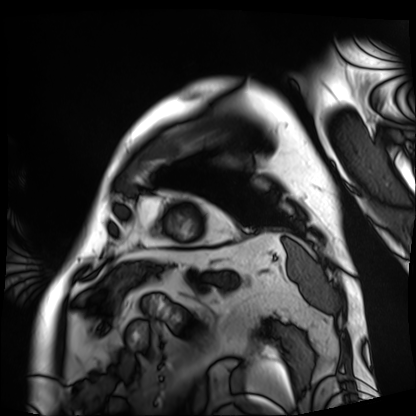
Cardiac MRI. Subject group: patient.